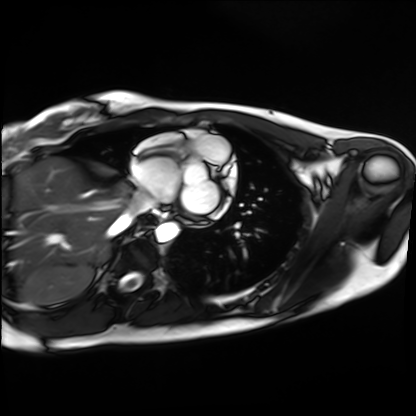
Cardiac MRI. Subject group: healthy volunteer.